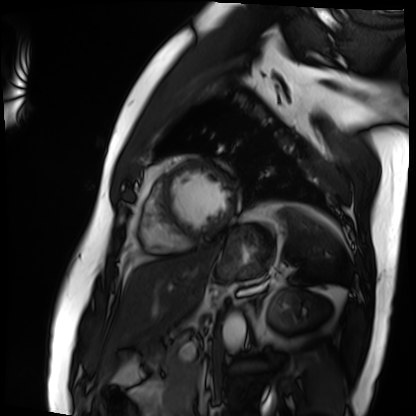
Case summary: Cardiac MRI. Subject group: patient.